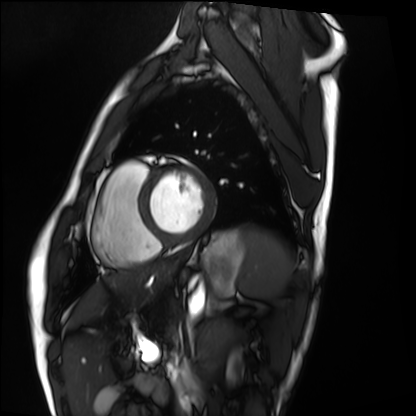
Clinical context:
Cardiac MRI. Subject group: healthy volunteer.